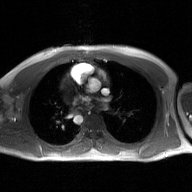
Summary:
2D phase-contrast cine MRI of the ascending aorta, GAN super-resolution reconstruction.